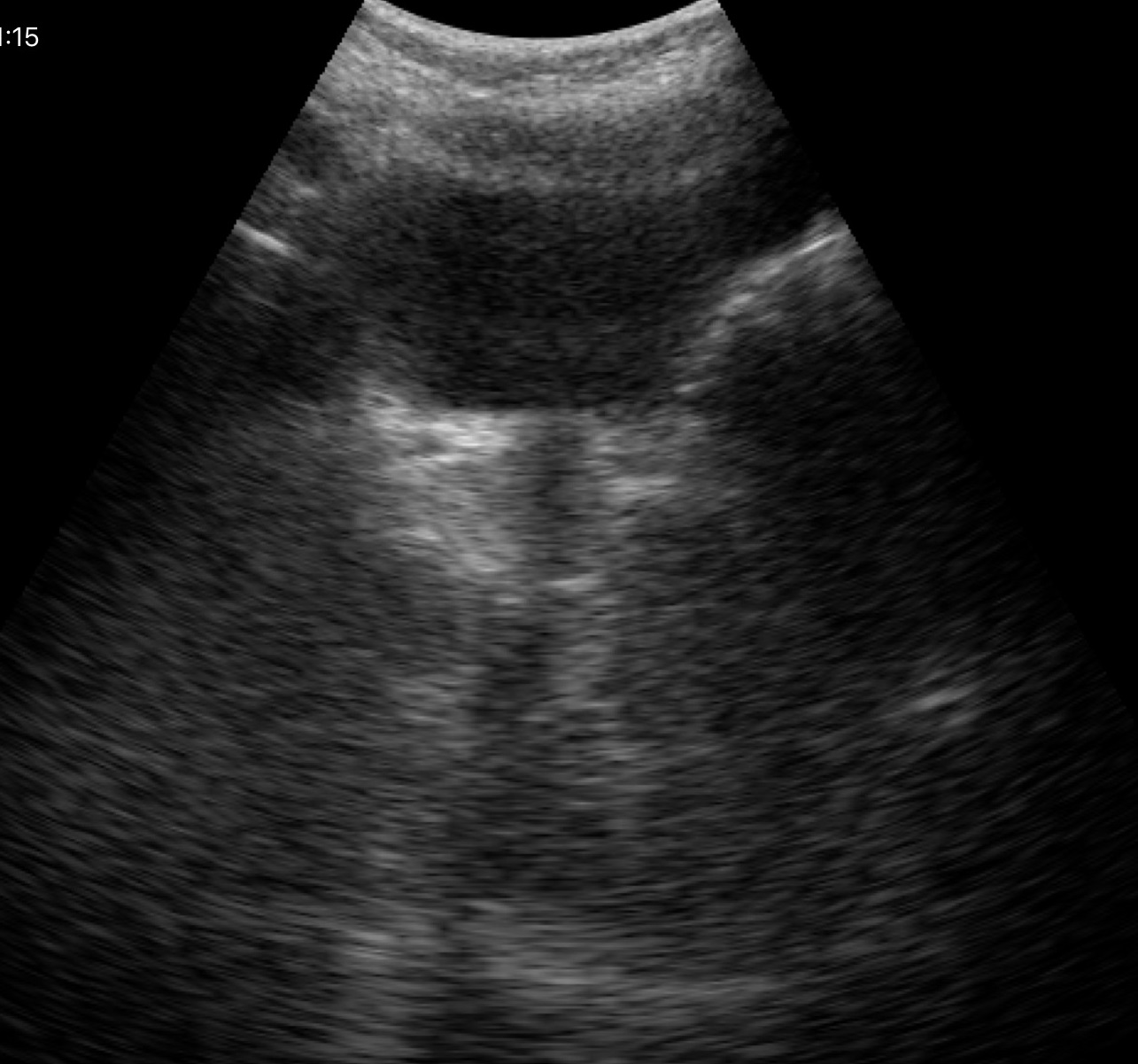
Q: What kind of scan is this?
A: Genitourinary ultrasound.